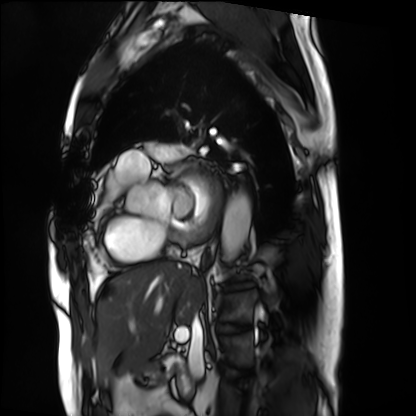
Cardiac MRI.
Subject group: patient.